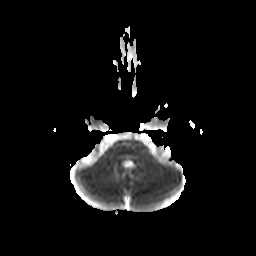
modality — 3 Tesla brain MRI
series — diffusion-weighted imaging with CLEAR
study — ring-enhancing brain masses